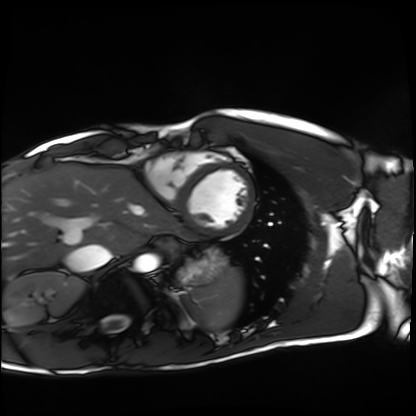
Summary:
Cardiac MRI. Subject group: healthy volunteer.